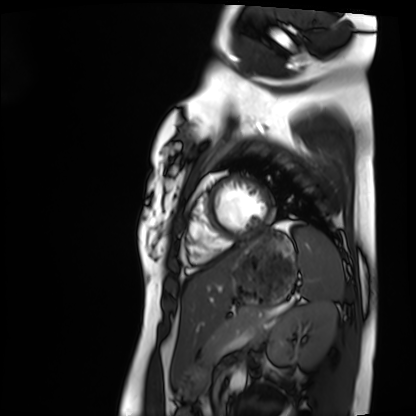
Summary:
Cardiac MRI. Subject group: healthy volunteer.